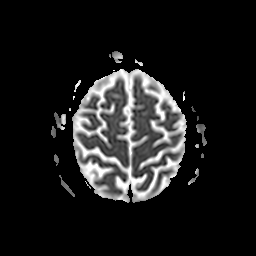
Summary:
3 Tesla brain MRI. Series: apparent diffusion coefficient (ADC) map. Study: ring-enhancing brain masses.